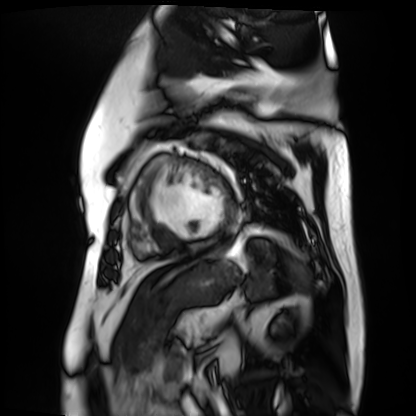
Case summary:
Cardiac MR image of the myocardium. Subject cohort: cardiac patient.